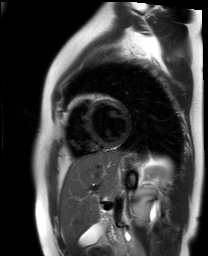
Clinical context: Cardiac MR image of the myocardium. Subject cohort: healthy volunteer.